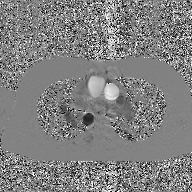
2D phase-contrast cine MRI of the ascending aorta, GAN super-resolution reconstruction.